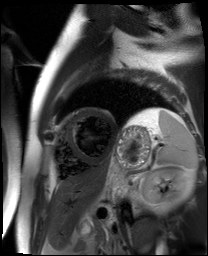
Q: What kind of scan is this?
A: Cardiac MR image of the myocardium.
Subject cohort: cardiac patient.